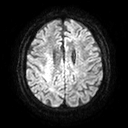
{"modality": {"type": "brain MRI", "field_strength": "3T"}, "series": "diffusion tensor imaging (medium iso)", "study_topic": "ring-enhancing brain masses"}